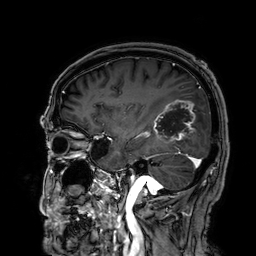
modality = 3 Tesla brain MRI
series = 3D T1-weighted
study = ring-enhancing brain masses